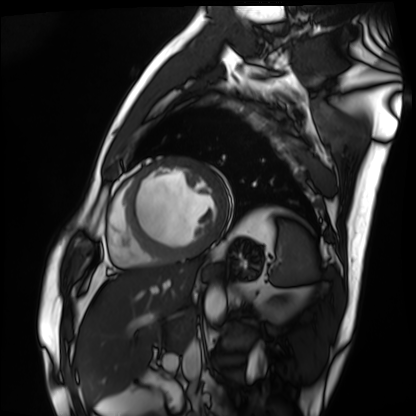
modality: cardiac MRI; subject group: patient.